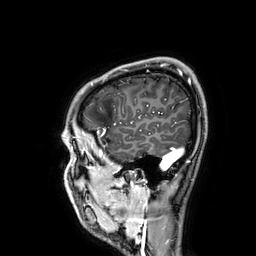
modality: 3 Tesla brain MRI
series: 3D T1-weighted
study: ring-enhancing brain masses